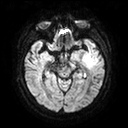
Clinical context:
3 Tesla brain MRI. Series: diffusion tensor imaging (medium iso). Study: ring-enhancing brain masses.